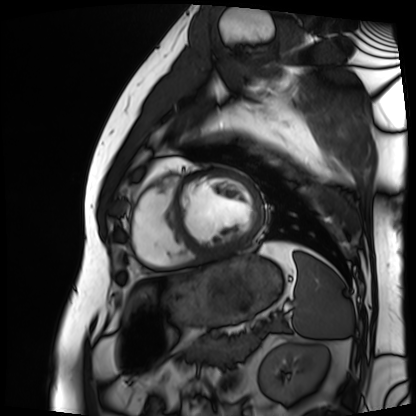
Cardiac MRI. Subject group: patient.